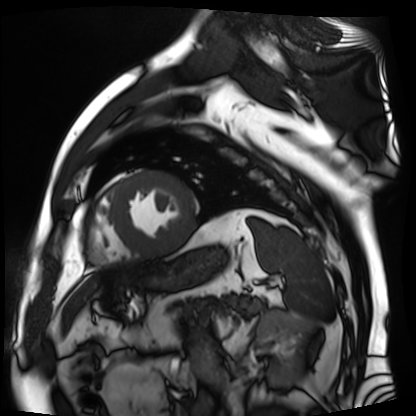
{"modality": "cardiac MR image of the myocardium", "cohort": "cardiac patient"}